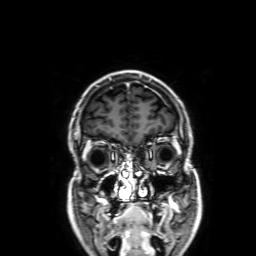
Summary: 3 Tesla brain MRI. Series: 3D T1-weighted with SENSE. Study: ring-enhancing brain masses.